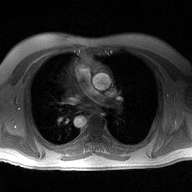
Clinical context:
2D phase-contrast cine MRI of the ascending aorta, high-resolution GRAPPA acquisition.